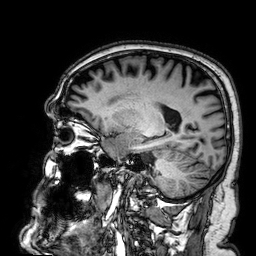
Q: What kind of scan is this?
A: 3 Tesla brain MRI.
Q: Series?
A: 3D T1-weighted.
Study: ring-enhancing brain masses.